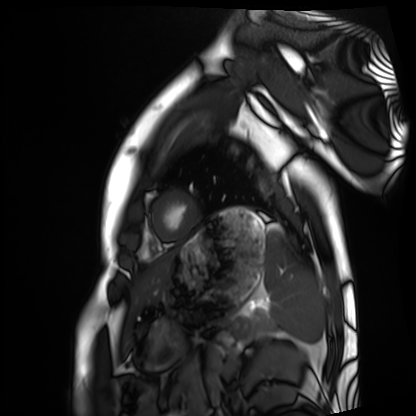
| field | value |
|---|---|
| modality | cardiac MRI |
| subject group | healthy volunteer |